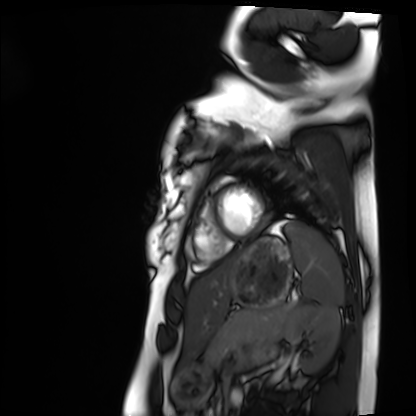
| field | value |
|---|---|
| modality | cardiac MRI |
| subject group | healthy volunteer |